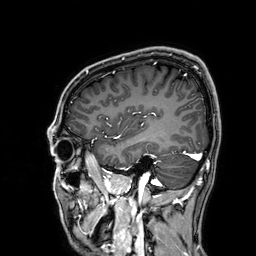
3 Tesla brain MRI. Series: 3D T1-weighted. Study: ring-enhancing brain masses.